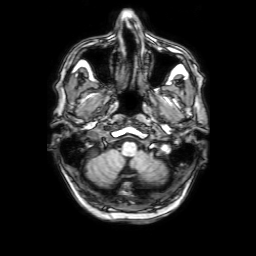
| field | value |
|---|---|
| modality | 3 Tesla brain MRI |
| series | 3D T1-weighted with SENSE |
| study | ring-enhancing brain masses |